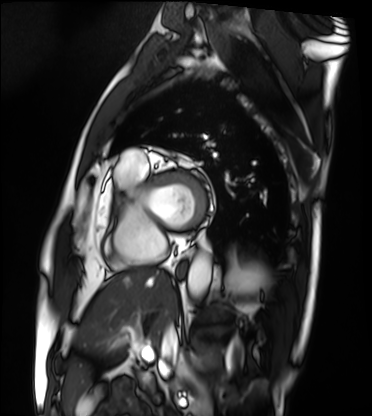
Case:
– modality · cardiac MRI
– subject group · patient